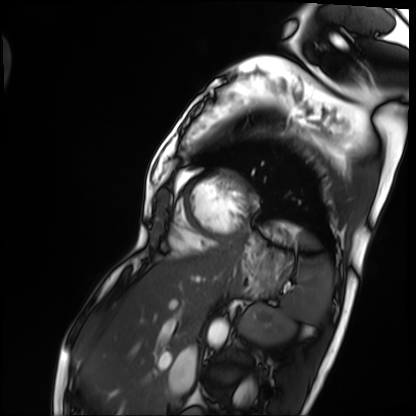
Clinical context: Cardiac MRI. Subject group: patient.